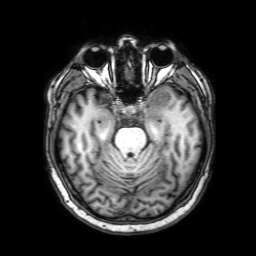
Case:
* modality · 3 Tesla brain MRI
* series · 3D T1-weighted with SENSE
* study · ring-enhancing brain masses